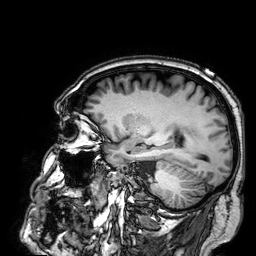
modality: 3 Tesla brain MRI
series: 3D T1-weighted
study: ring-enhancing brain masses